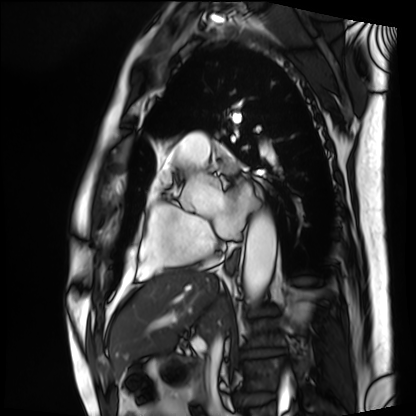
Cardiac MRI. Subject group: patient.